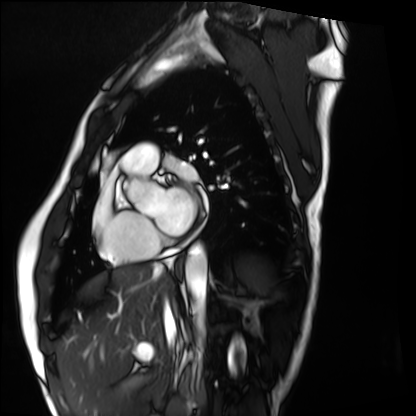
Cardiac MRI.
Subject group: healthy volunteer.